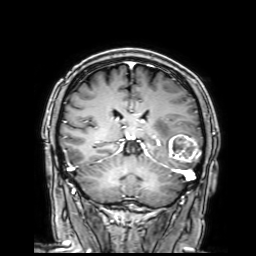
* modality · 3 Tesla brain MRI
* series · 3D T1-weighted with SENSE
* study · ring-enhancing brain masses